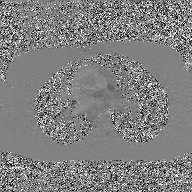
| field | value |
|---|---|
| modality | 2D phase-contrast cine MRI of the ascending aorta, GAN super-resolution reconstruction |